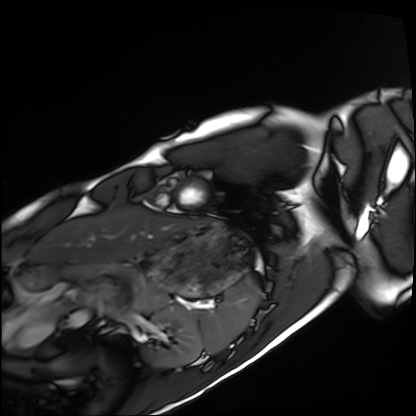
Summary:
Cardiac MRI. Subject group: healthy volunteer.